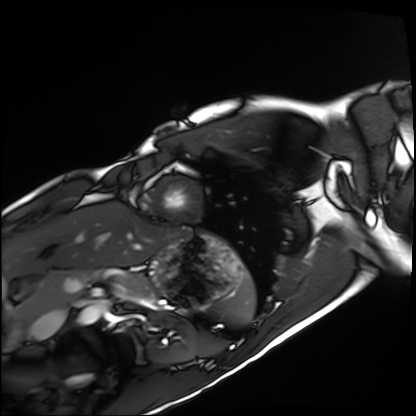
Clinical context: Cardiac MRI. Subject group: healthy volunteer.